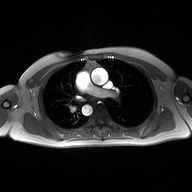
| field | value |
|---|---|
| modality | 2D phase-contrast cine MRI of the ascending aorta |